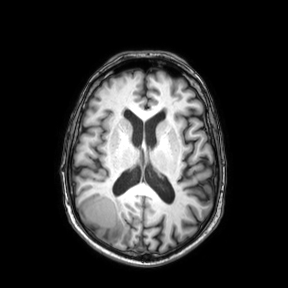
Clinical context:
3 Tesla brain MRI. Series: axial. Study: ring-enhancing brain masses.